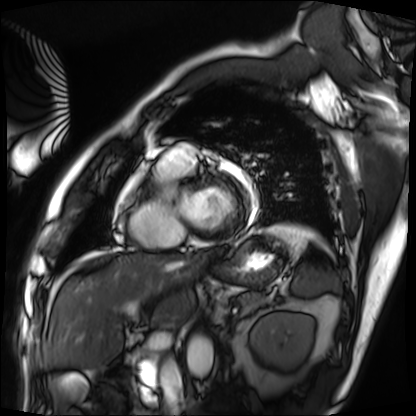
Cardiac MRI. Subject group: patient.